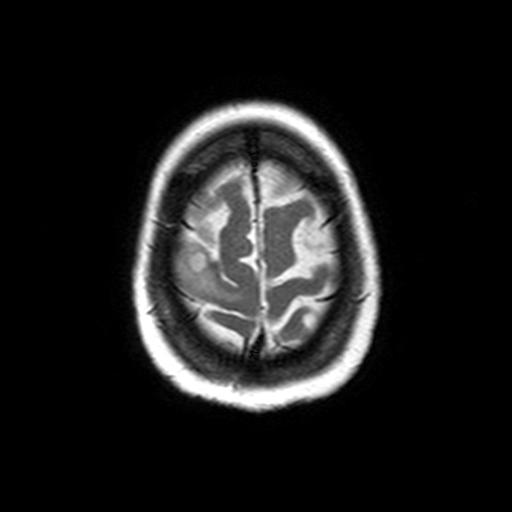
modality = 3 Tesla brain MRI | series = axial T2-weighted turbo spin echo | study = ring-enhancing brain masses.